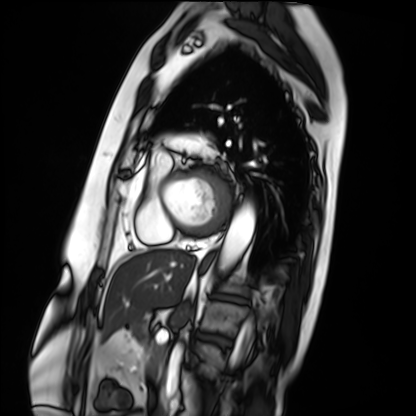
Q: What kind of scan is this?
A: Cardiac MRI.
Subject group: patient.